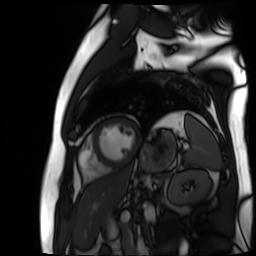
{
  "modality": "cardiac MR image of the myocardium",
  "cohort": "cardiac patient"
}